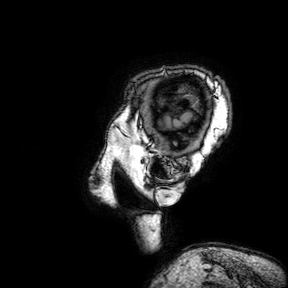
Case summary:
3 Tesla brain MRI. Study: ring-enhancing brain masses.